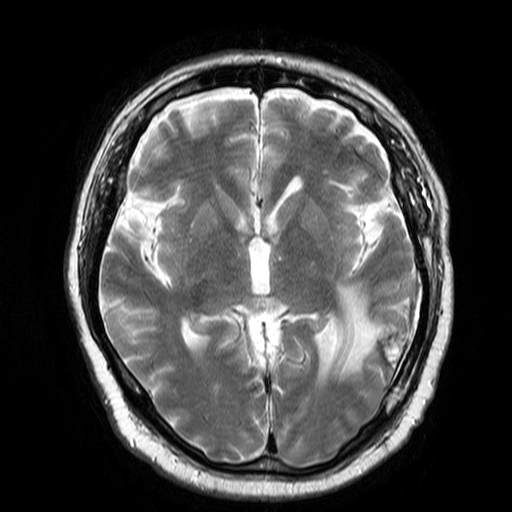
modality:
  type: brain MRI
  field_strength: 3T
series: T2-weighted turbo spin echo
study_topic: ring-enhancing brain masses